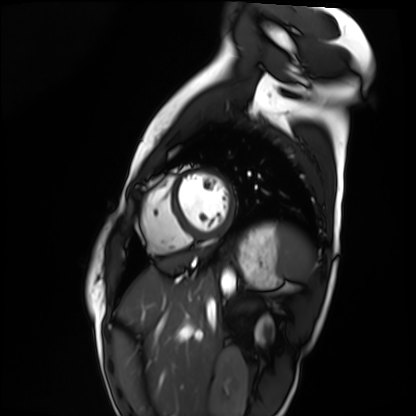
| field | value |
|---|---|
| modality | cardiac MRI |
| subject group | healthy volunteer |